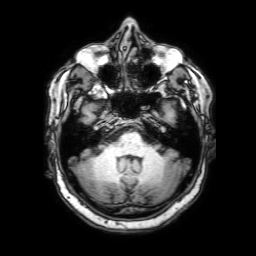
* modality: 3 Tesla brain MRI
* series: 3D T1-weighted with SENSE
* study: ring-enhancing brain masses